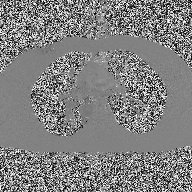
Clinical context:
2D phase-contrast cine MRI of the ascending aorta, high-resolution GRAPPA acquisition.